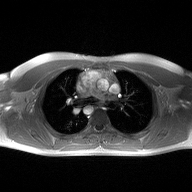
Clinical context:
2D phase-contrast cine MRI of the ascending aorta, high-resolution GRAPPA acquisition.